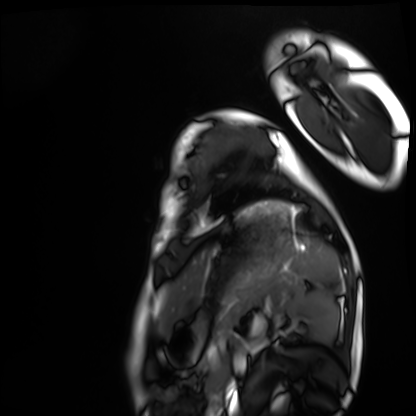
Cardiac MRI. Subject group: healthy volunteer.